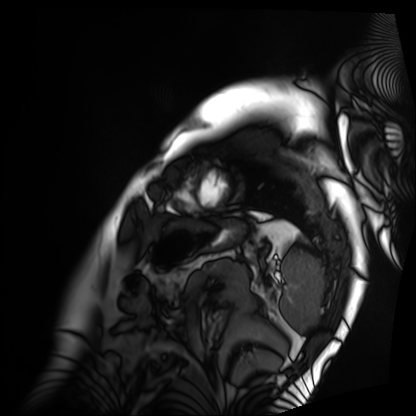
Clinical context: Cardiac MRI. Subject group: patient.